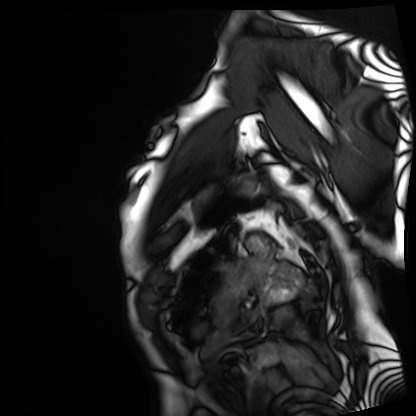
Cardiac MRI.
Subject group: patient.